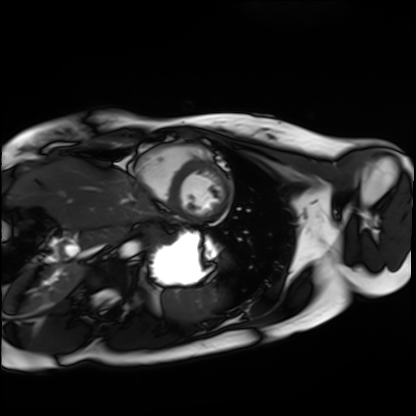
modality = cardiac MRI
subject group = healthy volunteer